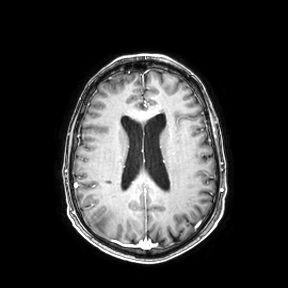
{"modality": {"type": "brain MRI", "field_strength": "3T"}, "series": "axial", "study_topic": "ring-enhancing brain masses"}